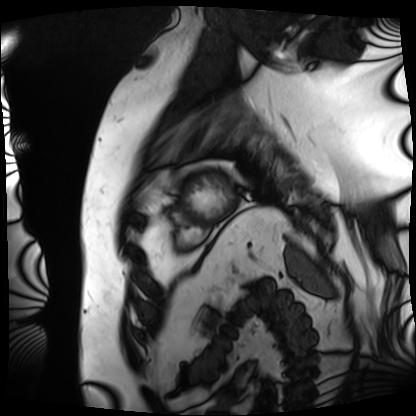
- modality — cardiac MRI
- subject group — patient